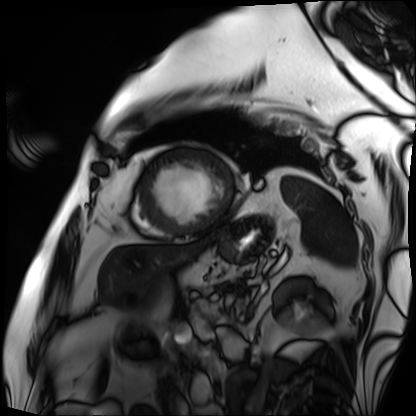
Cardiac MRI. Subject group: patient.